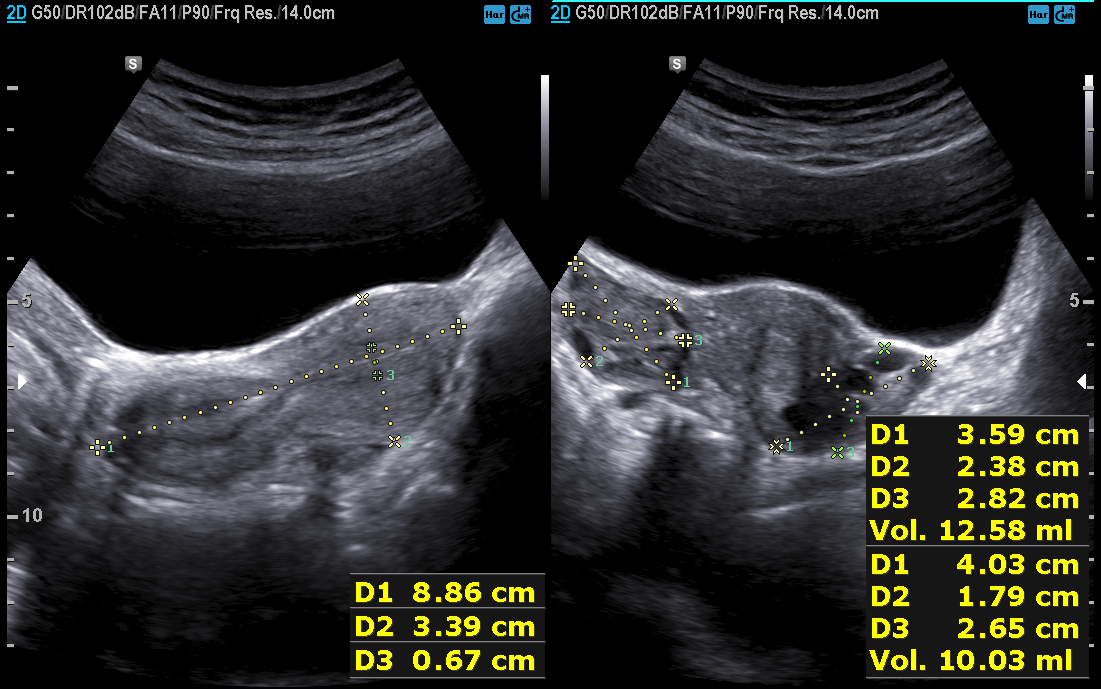
Case:
* modality · genitourinary ultrasound